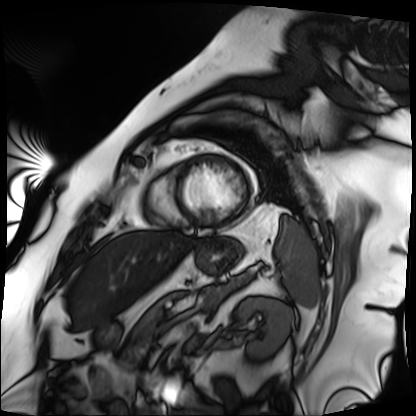
Cardiac MRI. Subject group: patient.